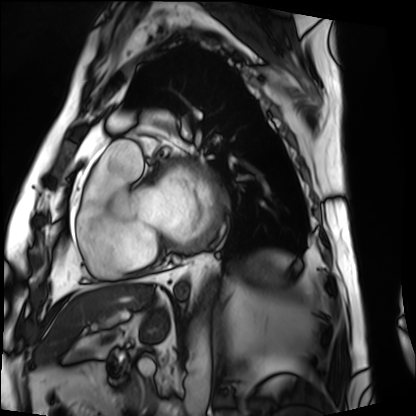
<record>
  <modality>cardiac MRI</modality>
  <cohort>patient</cohort>
</record>